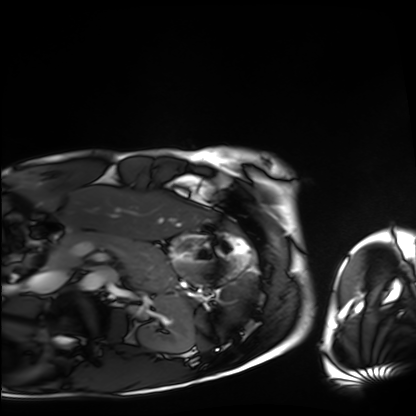
Cardiac MRI. Subject group: healthy volunteer.